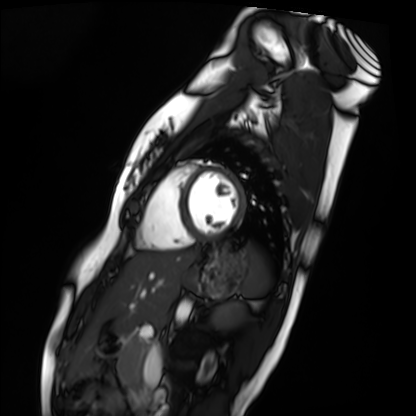
modality = cardiac MRI; subject group = healthy volunteer.